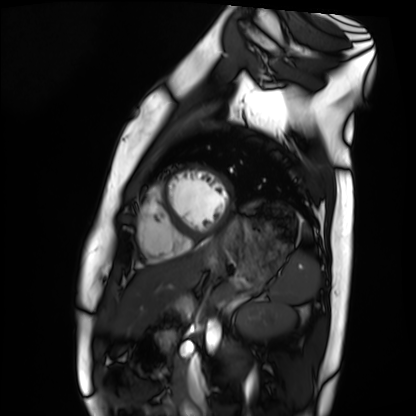
Cardiac MRI.
Subject group: healthy volunteer.